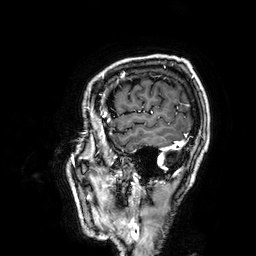
3 Tesla brain MRI.
Series: 3D T1-weighted.
Study: ring-enhancing brain masses.